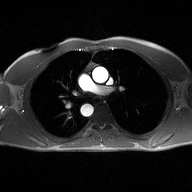
modality — 2D phase-contrast cine MRI of the ascending aorta.